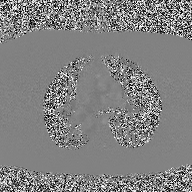
modality:
  type: 2D phase-contrast cine MRI
  region: ascending aorta
  reconstruction: high-resolution GRAPPA acquisition